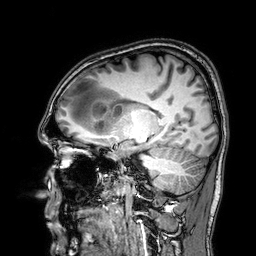
Q: What kind of scan is this?
A: 3 Tesla brain MRI.
Q: Series?
A: 3D T1-weighted.
Study: ring-enhancing brain masses.